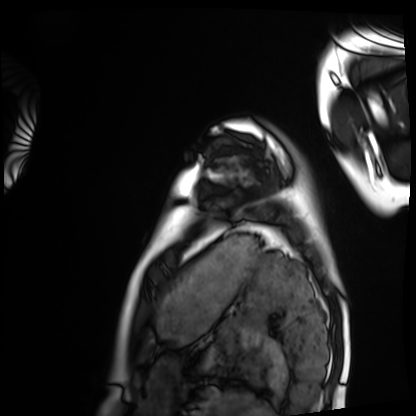
Clinical context:
Cardiac MRI. Subject group: healthy volunteer.